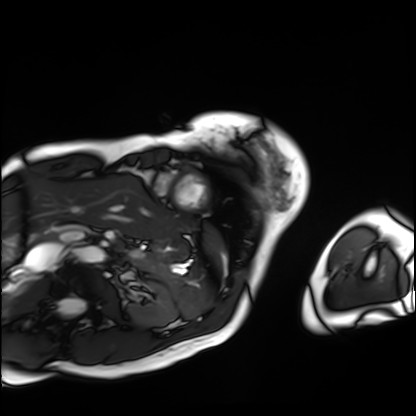
Summary: Cardiac MRI. Subject group: patient.